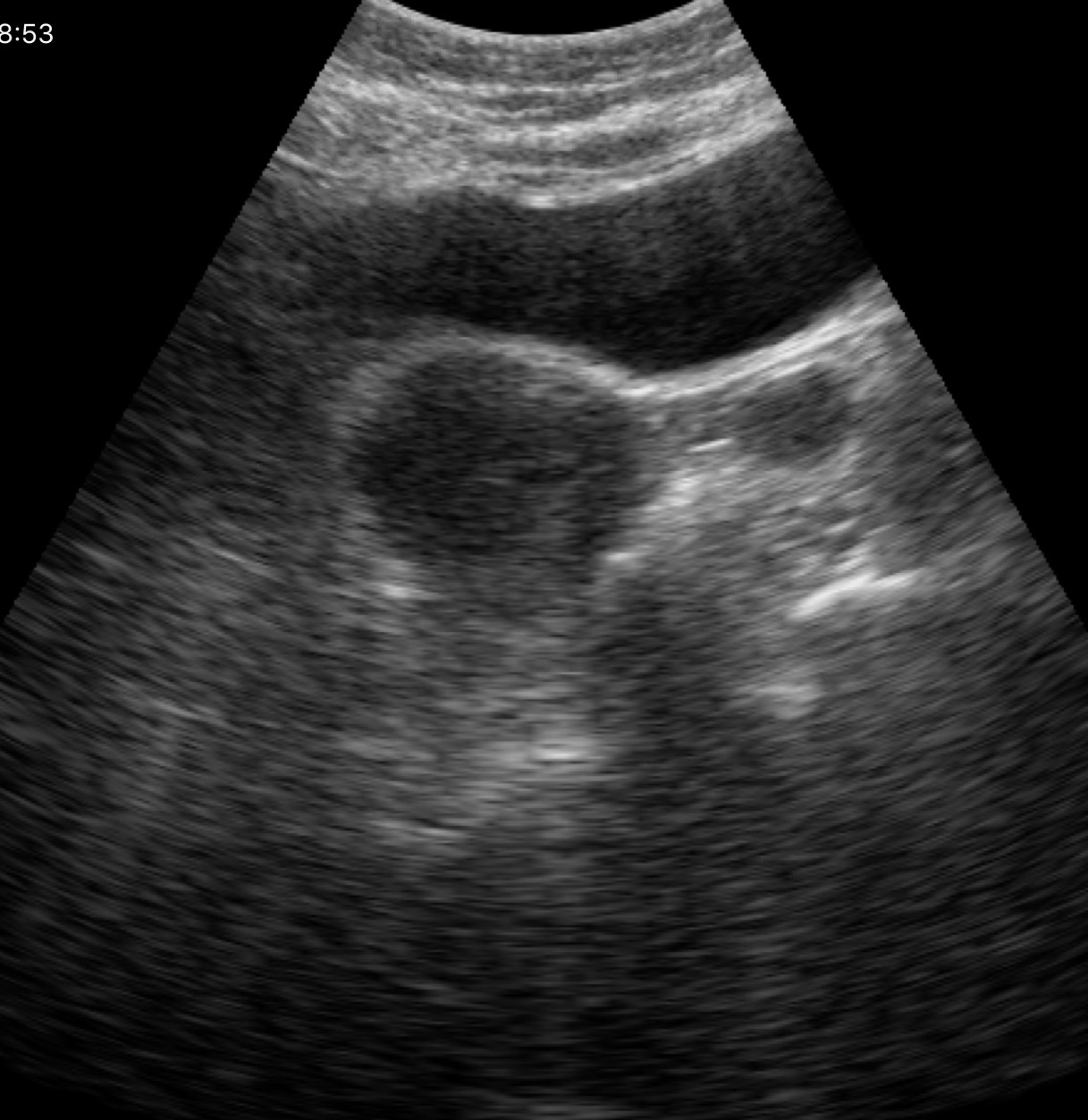
Q: What kind of scan is this?
A: Genitourinary ultrasound.